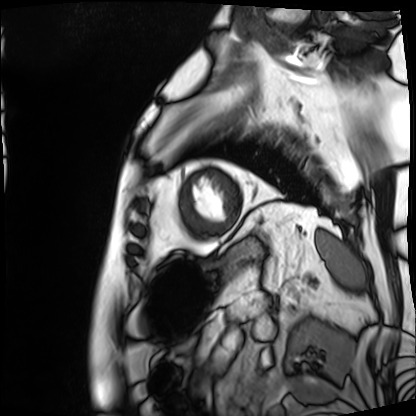
Cardiac MRI.
Subject group: patient.